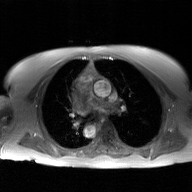
Q: What kind of scan is this?
A: 2D phase-contrast cine MRI of the ascending aorta, GAN super-resolution reconstruction.